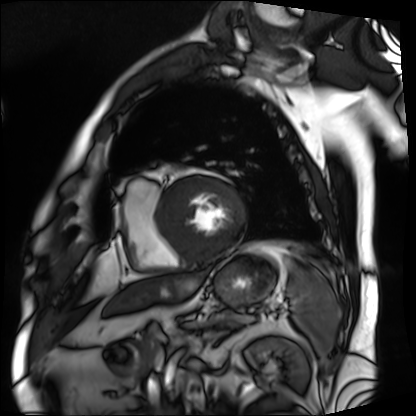
modality=cardiac MRI | subject group=patient.